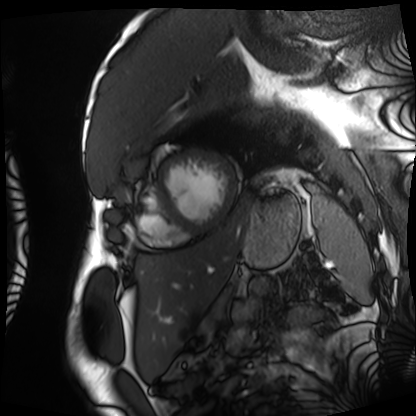
Cardiac MRI. Subject group: patient.